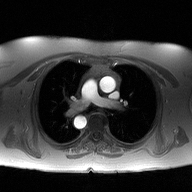
Q: What kind of scan is this?
A: 2D phase-contrast cine MRI of the ascending aorta.